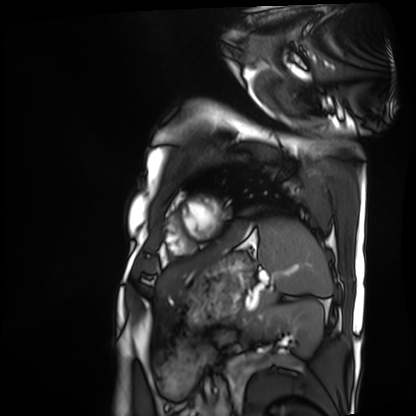
Summary: Cardiac MRI. Subject group: patient.